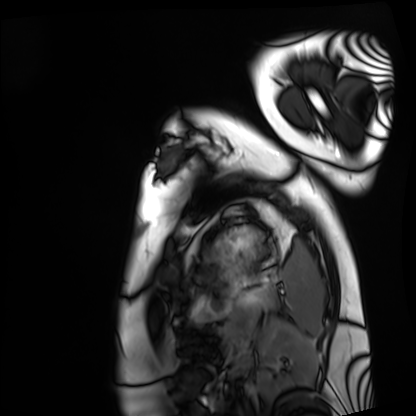
modality: cardiac MRI | subject group: healthy volunteer.